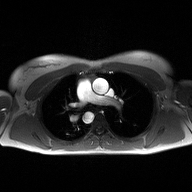
2D phase-contrast cine MRI of the ascending aorta, high-resolution GRAPPA acquisition.